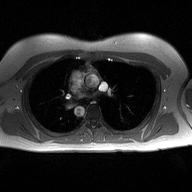
Clinical context:
2D phase-contrast cine MRI of the ascending aorta, high-resolution GRAPPA acquisition.